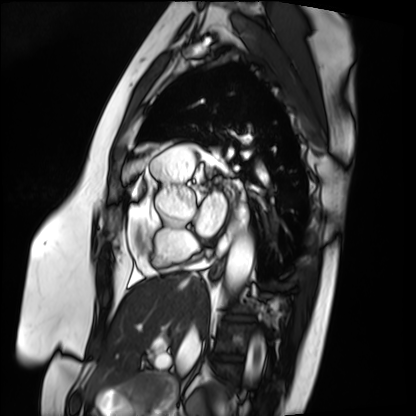
modality = cardiac MRI, subject group = patient.